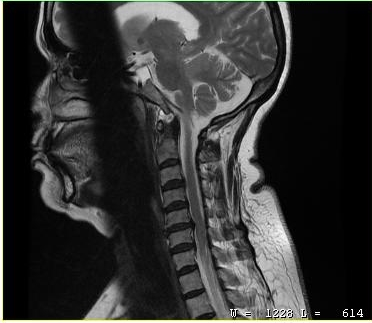
{"modality": {"type": "cervical spine MRI"}, "study_topic": "cervical spondylosis"}